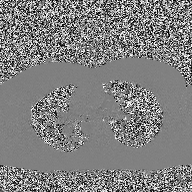
{
  "modality": {
    "type": "2D phase-contrast cine MRI",
    "region": "ascending aorta",
    "reconstruction": "high-resolution GRAPPA acquisition"
  }
}